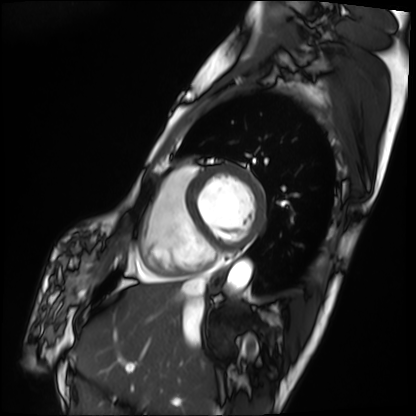
Clinical context:
Cardiac MRI. Subject group: patient.